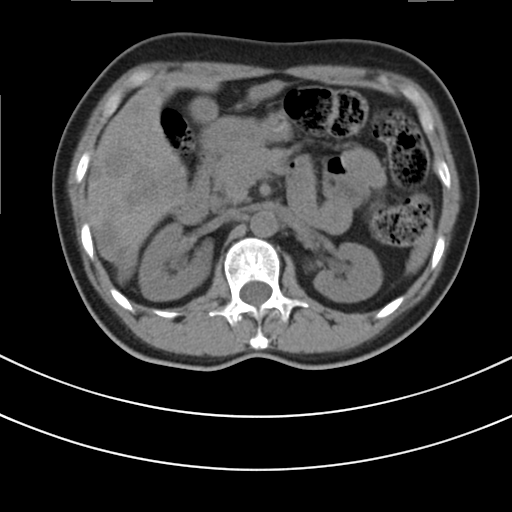
Multiphase abdominal CT, liver, non-contrast phase.
Patient: female, age 48.
History: prior chemotherapy.